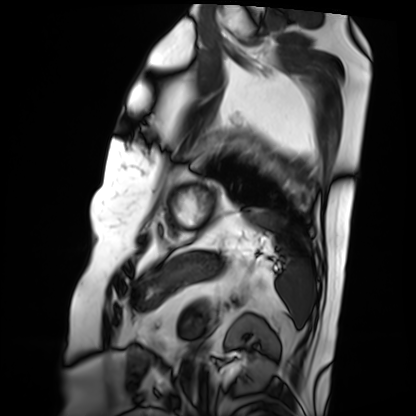
<scan>
<modality>cardiac MRI</modality>
<cohort>patient</cohort>
</scan>